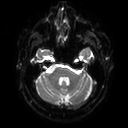
modality: 3 Tesla brain MRI; series: diffusion tensor imaging (medium iso); study: ring-enhancing brain masses.